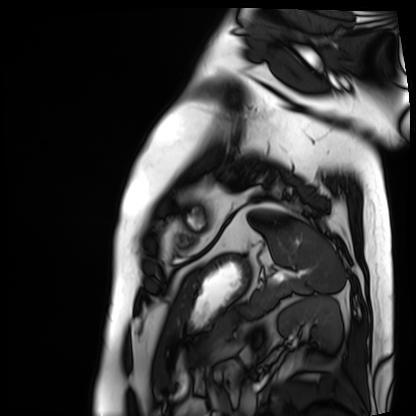
• modality: cardiac MRI
• subject group: patient